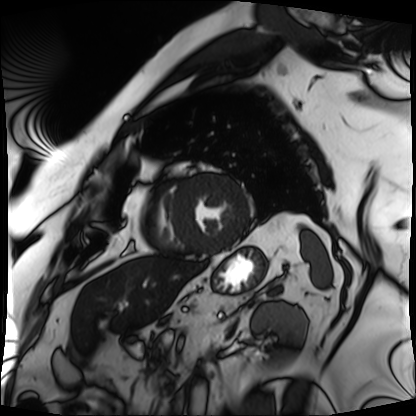
Clinical context:
Cardiac MRI. Subject group: patient.